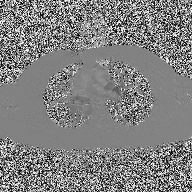
2D phase-contrast cine MRI of the ascending aorta, high-resolution GRAPPA acquisition.